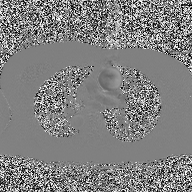
Summary:
2D phase-contrast cine MRI of the ascending aorta, high-resolution GRAPPA acquisition.